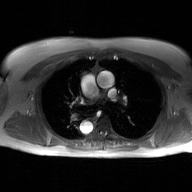
* modality: 2D phase-contrast cine MRI of the ascending aorta, GAN super-resolution reconstruction